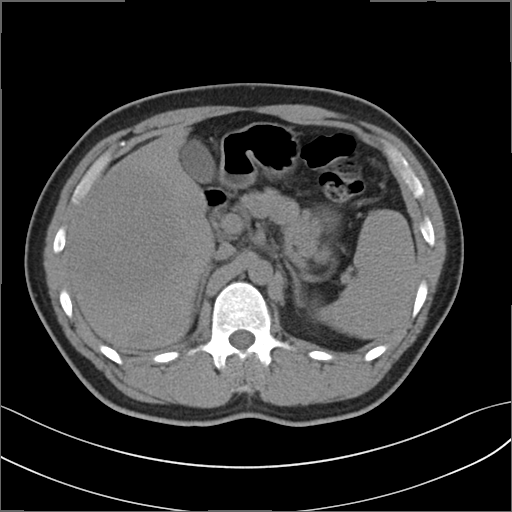
– modality · multiphase abdominal CT, liver, non-contrast phase
– patient · male, age 32
– history · viral hepatitis, prior chemotherapy